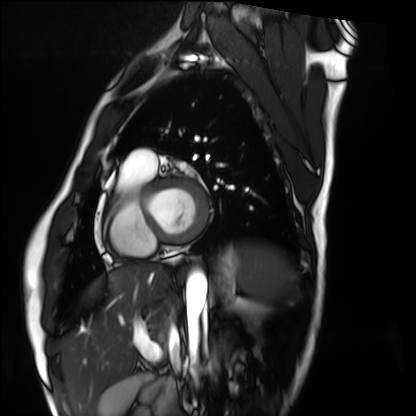
Clinical context:
Cardiac MRI. Subject group: healthy volunteer.